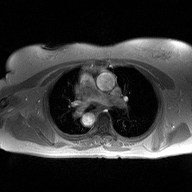
2D phase-contrast cine MRI of the ascending aorta, high-resolution GRAPPA acquisition.